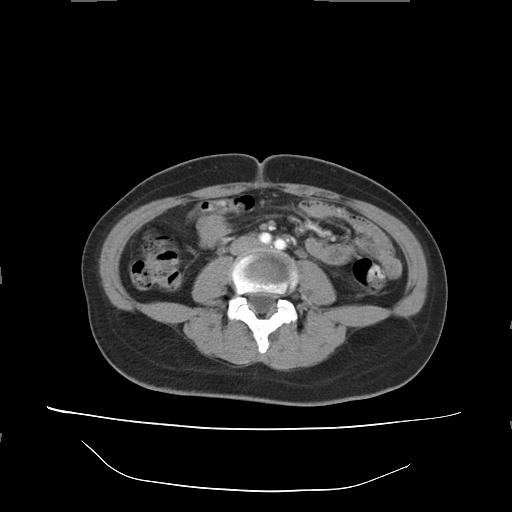
modality: multiphase abdominal CT, liver, arterial phase | patient: female, age 34 | history: prior chemotherapy.